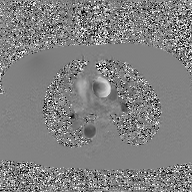
2D phase-contrast cine MRI of the ascending aorta, GAN super-resolution reconstruction.